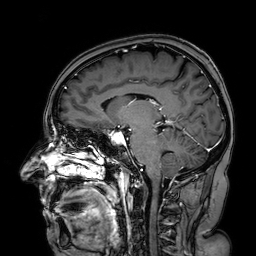
| field | value |
|---|---|
| modality | 3 Tesla brain MRI |
| series | 3D T1-weighted turbo field echo with SENSE |
| study | ring-enhancing brain masses |